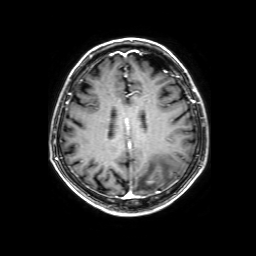
3 Tesla brain MRI.
Series: 3D T1-weighted with SENSE.
Study: ring-enhancing brain masses.